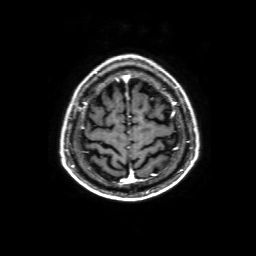
Q: What kind of scan is this?
A: 3 Tesla brain MRI.
Q: Series?
A: 3D T1-weighted with SENSE.
Study: ring-enhancing brain masses.